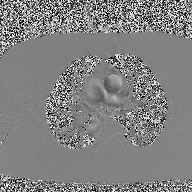
Case summary: 2D phase-contrast cine MRI of the ascending aorta, high-resolution GRAPPA acquisition.